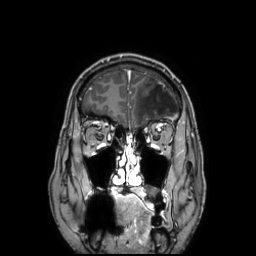
Summary: 3 Tesla brain MRI. Series: 3D T1-weighted TFE with SENSE. Study: ring-enhancing brain masses.